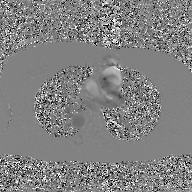
Summary: 2D phase-contrast cine MRI of the ascending aorta, GAN super-resolution reconstruction.